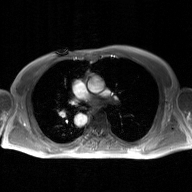
2D phase-contrast cine MRI of the ascending aorta, GAN super-resolution reconstruction.